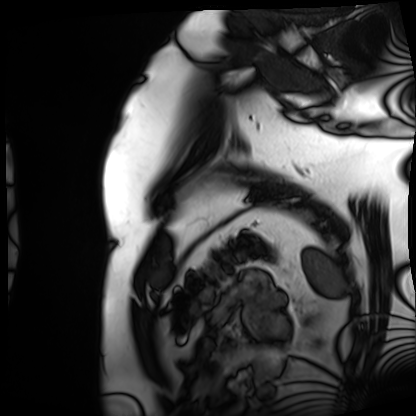
Clinical context:
Cardiac MRI. Subject group: patient.